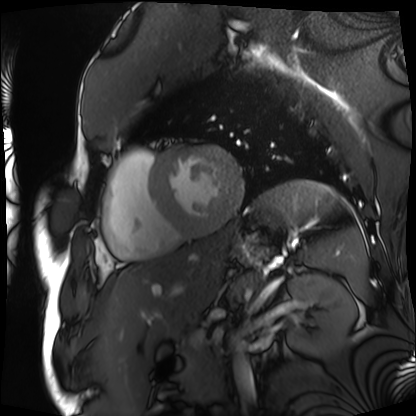
{"modality": "cardiac MRI", "cohort": "patient"}